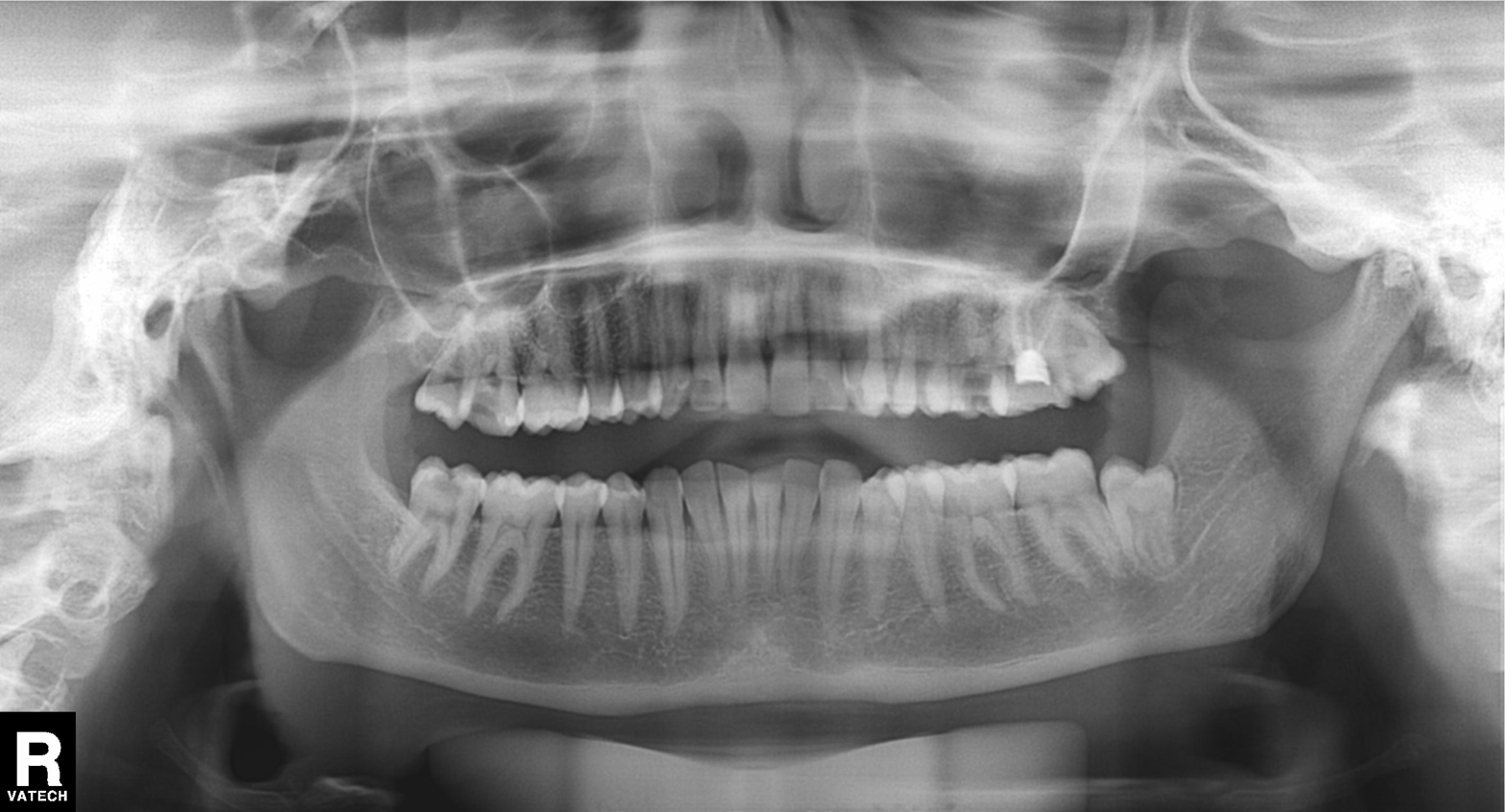
- modality · panoramic dental radiograph (orthopantomogram)
- finding · tooth impaction